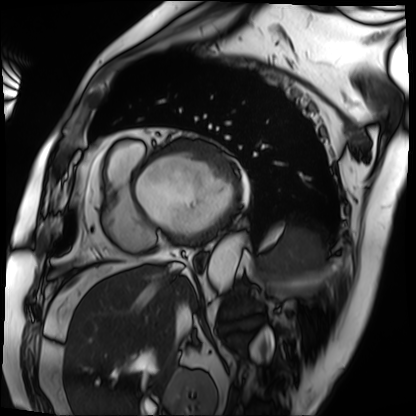
Cardiac MRI. Subject group: patient.